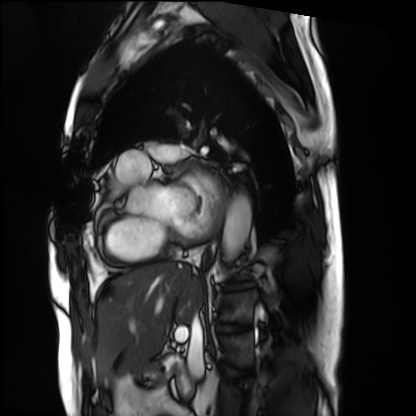
Cardiac MRI. Subject group: patient.